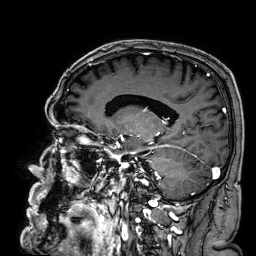
Summary:
3 Tesla brain MRI. Series: 3D T1-weighted. Study: ring-enhancing brain masses.